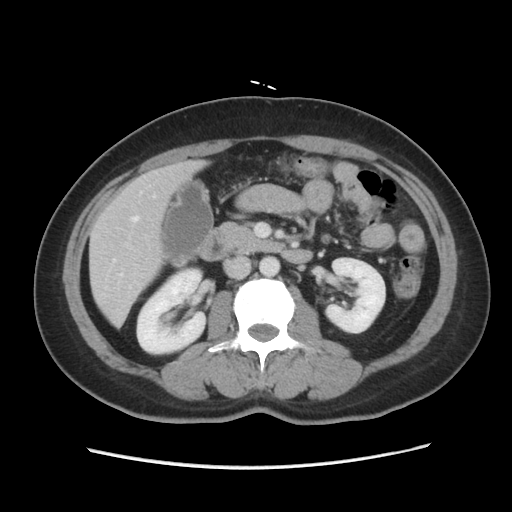
modality = multiphase abdominal CT, liver, portal venous phase
patient = female, age 47